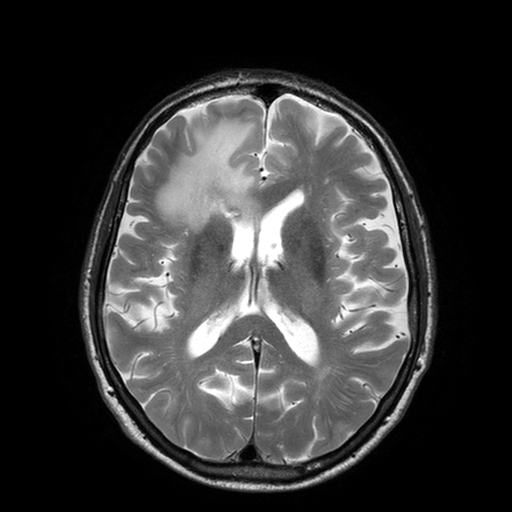
– modality: 3 Tesla brain MRI
– series: T2-weighted turbo spin echo with SENSE
– study: ring-enhancing brain masses